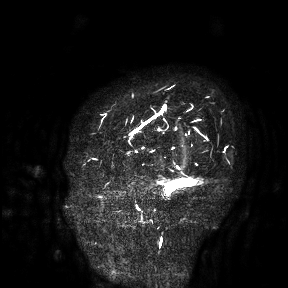
modality = 3 Tesla brain MRI | study = ring-enhancing brain masses.